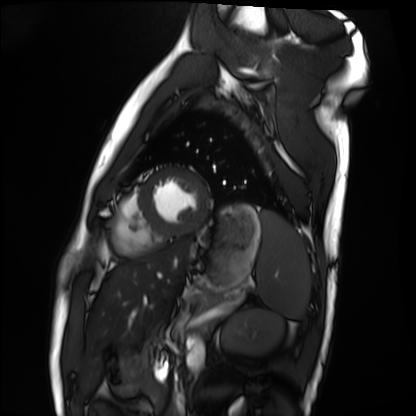
modality: cardiac MRI
cohort: healthy volunteer